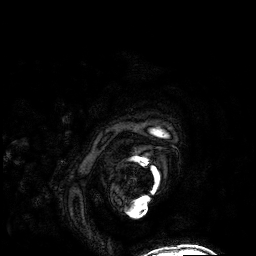
Q: What kind of scan is this?
A: 3 Tesla brain MRI.
Q: Series?
A: 3D T1-weighted.
Study: ring-enhancing brain masses.